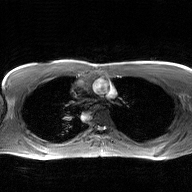
Summary:
2D phase-contrast cine MRI of the ascending aorta, GAN super-resolution reconstruction.